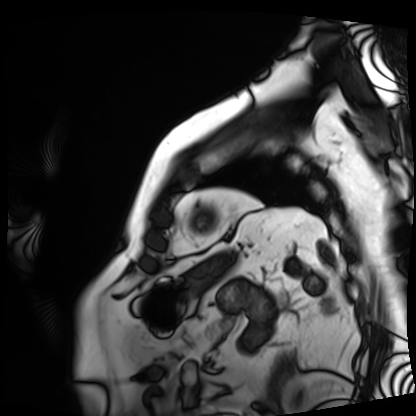
Cardiac MRI. Subject group: patient.